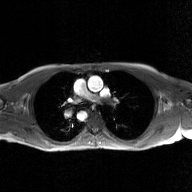
modality: 2D phase-contrast cine MRI of the ascending aorta, GAN super-resolution reconstruction.